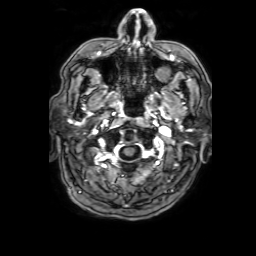
modality — 3 Tesla brain MRI
series — 3D T1-weighted with SENSE
study — ring-enhancing brain masses